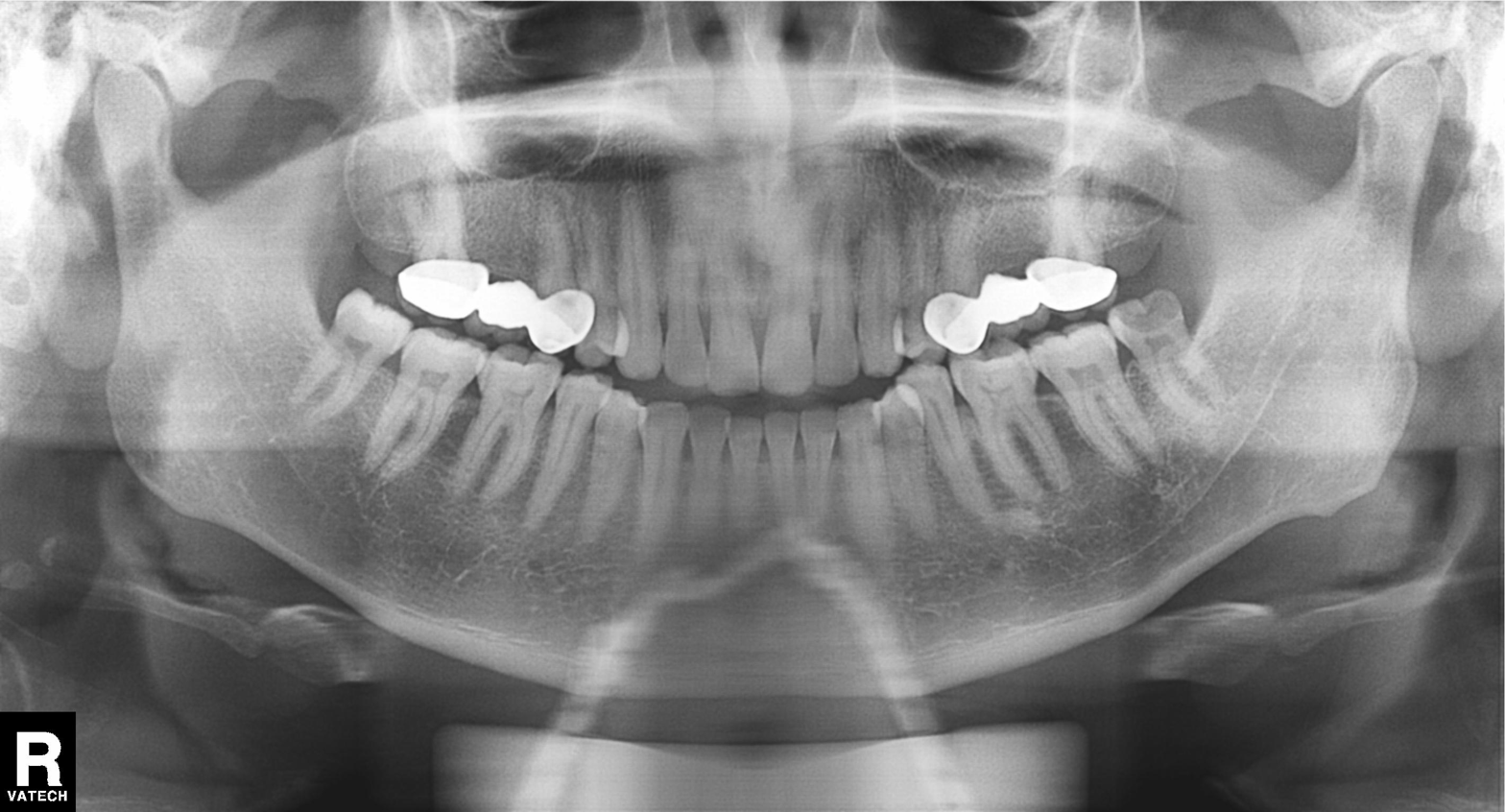
modality = panoramic dental radiograph (orthopantomogram)
finding = dental caries (cavities)